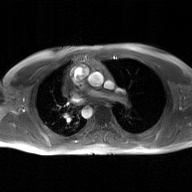
Case:
• modality — 2D phase-contrast cine MRI of the ascending aorta, GAN super-resolution reconstruction